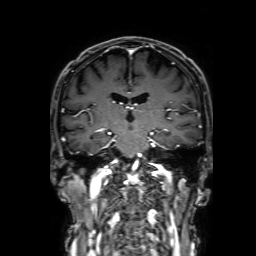
3 Tesla brain MRI. Series: 3D T1-weighted with SENSE. Study: ring-enhancing brain masses.